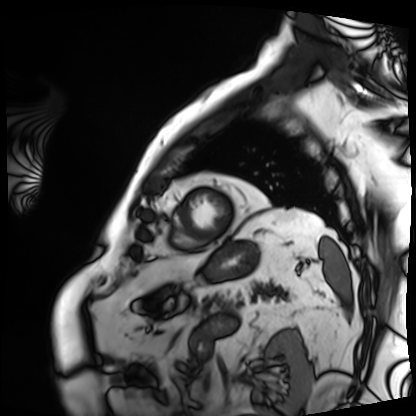
{"modality": "cardiac MRI", "cohort": "patient"}